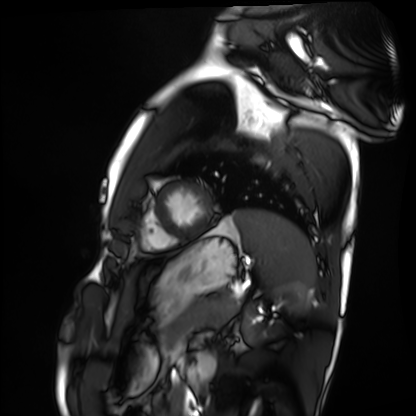
  modality: cardiac MRI
  cohort: healthy volunteer